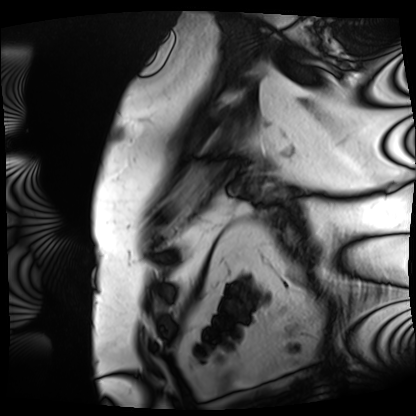
Cardiac MRI.
Subject group: patient.